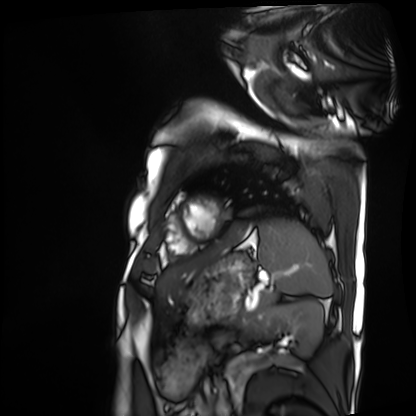
modality = cardiac MRI, subject group = patient.